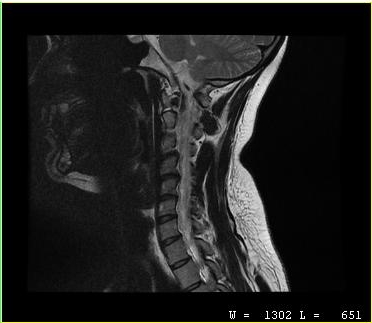
MRI of the cervical spine.
Study: cervical spondylosis.